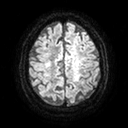
modality = 3 Tesla brain MRI; series = diffusion tensor imaging (medium iso); study = ring-enhancing brain masses.